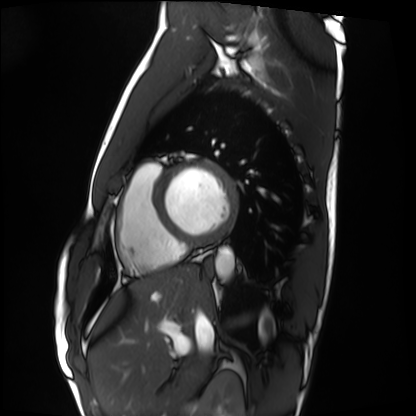
Cardiac MRI.
Subject group: healthy volunteer.